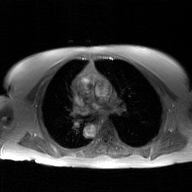
Case summary: 2D phase-contrast cine MRI of the ascending aorta, GAN super-resolution reconstruction.